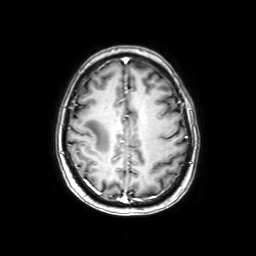
Summary:
3 Tesla brain MRI. Series: axial with contrast. Study: ring-enhancing brain masses.